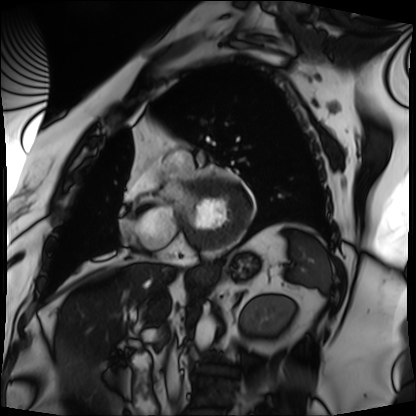
{"modality": "cardiac MRI", "cohort": "patient"}